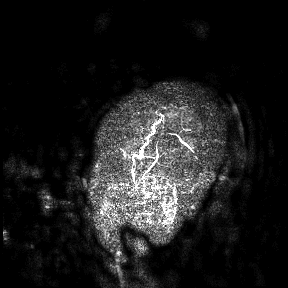
3 Tesla brain MRI.
Study: ring-enhancing brain masses.